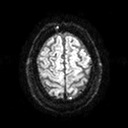
Summary: 3 Tesla brain MRI. Series: diffusion tensor imaging (medium iso). Study: ring-enhancing brain masses.